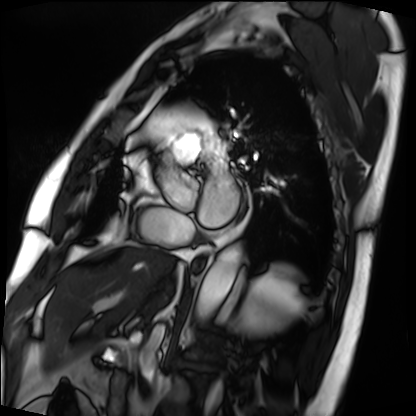
Cardiac MRI.
Subject group: patient.